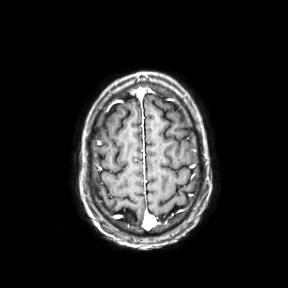
<case>
<modality>
  <type>brain MRI</type>
  <field_strength>3T</field_strength>
</modality>
<series>axial</series>
<study_topic>ring-enhancing brain masses</study_topic>
</case>